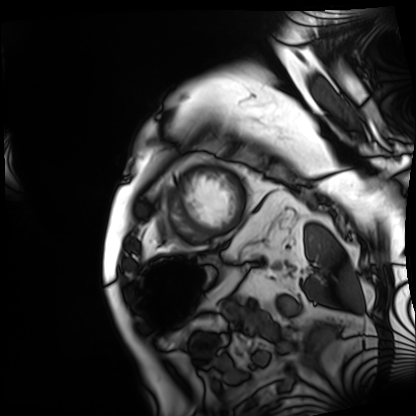
{
  "modality": "cardiac MRI",
  "cohort": "patient"
}